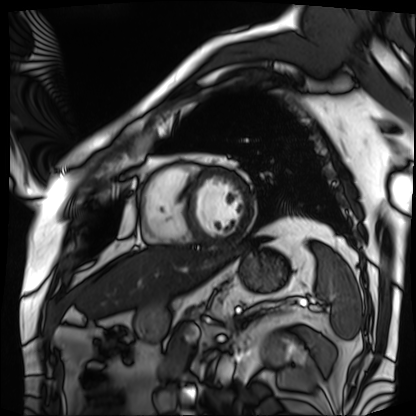
Cardiac MRI. Subject group: patient.